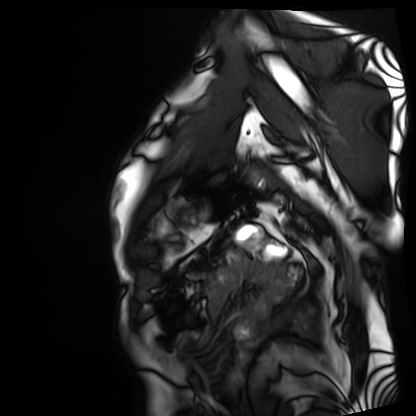
modality = cardiac MRI, subject group = patient.